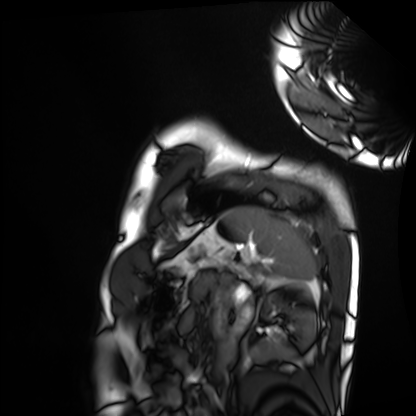
modality = cardiac MRI; subject group = healthy volunteer.